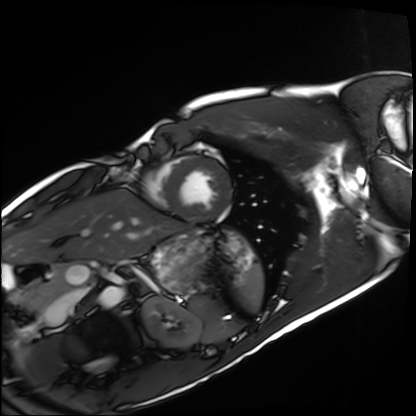
Cardiac MRI. Subject group: healthy volunteer.